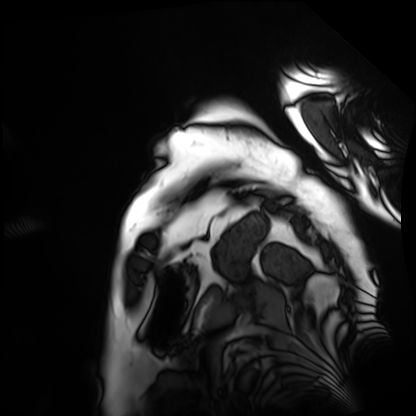
<record>
  <modality>cardiac MRI</modality>
  <cohort>patient</cohort>
</record>